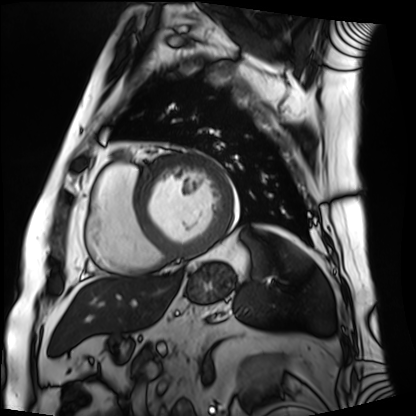
Cardiac MRI.
Subject group: patient.